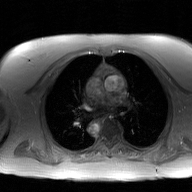
2D phase-contrast cine MRI of the ascending aorta, GAN super-resolution reconstruction.